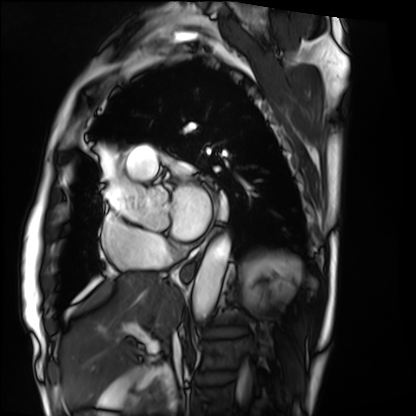
– modality · cardiac MRI
– subject group · patient